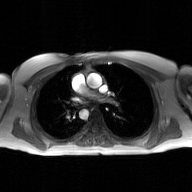
2D phase-contrast cine MRI of the ascending aorta, GAN super-resolution reconstruction.